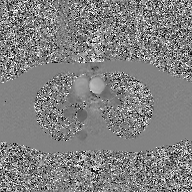
Summary: 2D phase-contrast cine MRI of the ascending aorta, GAN super-resolution reconstruction.